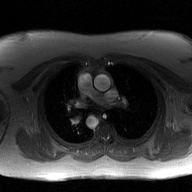
modality: 2D phase-contrast cine MRI of the ascending aorta, GAN super-resolution reconstruction.